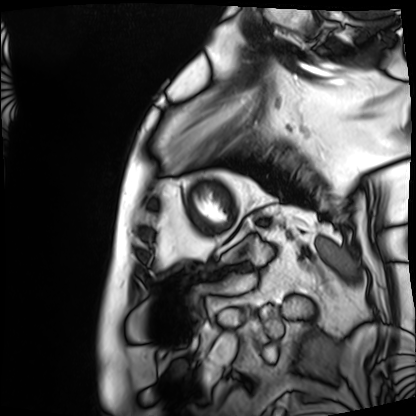
Cardiac MRI.
Subject group: patient.